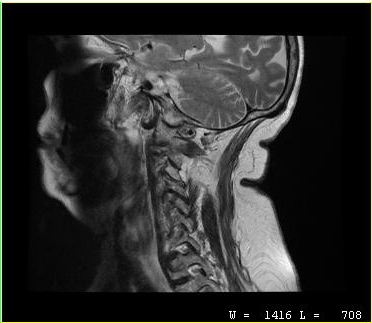
Q: What kind of scan is this?
A: MRI of the cervical spine.
Study: cervical spondylosis.